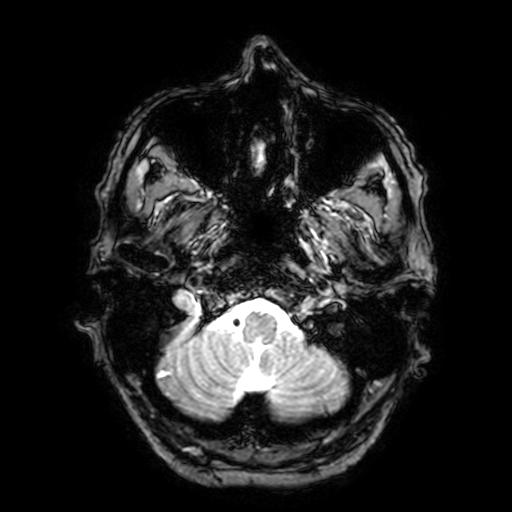
modality = 3 Tesla brain MRI; series = T2-weighted fast field echo with SENSE; study = ring-enhancing brain masses.